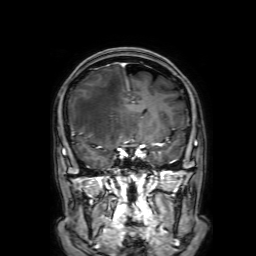
modality = 3 Tesla brain MRI; series = 3D T1-weighted with SENSE; study = ring-enhancing brain masses.